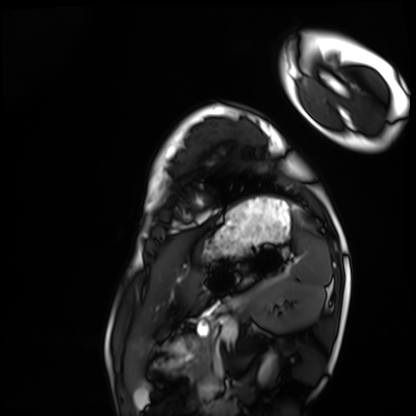
modality: cardiac MRI; subject group: healthy volunteer.